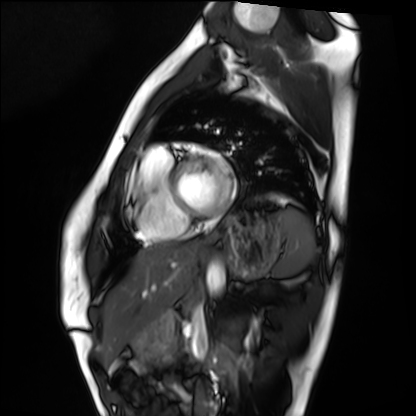
| field | value |
|---|---|
| modality | cardiac MRI |
| subject group | healthy volunteer |